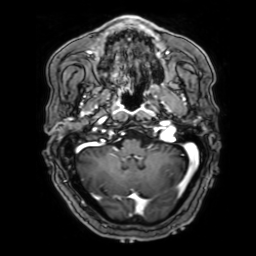
Summary: 3 Tesla brain MRI. Series: 3D T1-weighted with SENSE. Study: ring-enhancing brain masses.